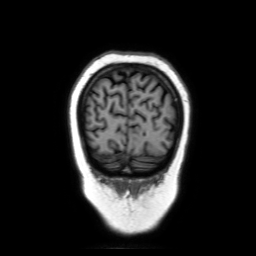
Clinical context: 3 Tesla brain MRI. Study: ring-enhancing brain masses.